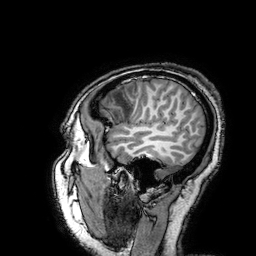
Clinical context: 3 Tesla brain MRI. Series: 3D T1-weighted turbo field echo with SENSE. Study: ring-enhancing brain masses.